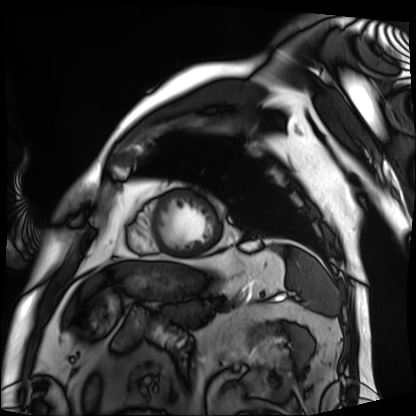
<study>
<modality>cardiac MRI</modality>
<cohort>patient</cohort>
</study>